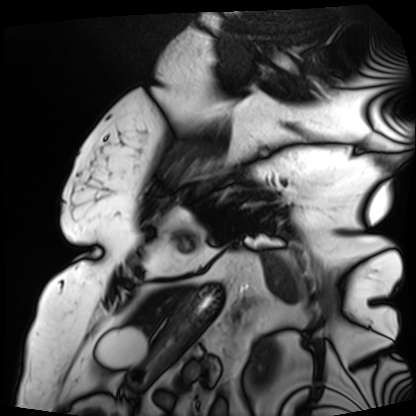
Summary:
Cardiac MRI. Subject group: patient.